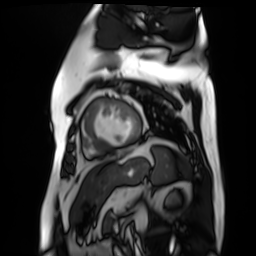
Q: What kind of scan is this?
A: Cardiac MR image of the myocardium.
Subject cohort: cardiac patient.